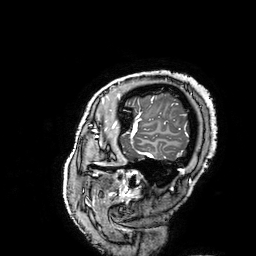
{
  "modality": {
    "type": "brain MRI",
    "field_strength": "3T"
  },
  "series": "3D T1-weighted turbo field echo with SENSE",
  "study_topic": "ring-enhancing brain masses"
}